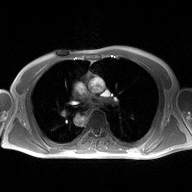
2D phase-contrast cine MRI of the ascending aorta, high-resolution GRAPPA acquisition.